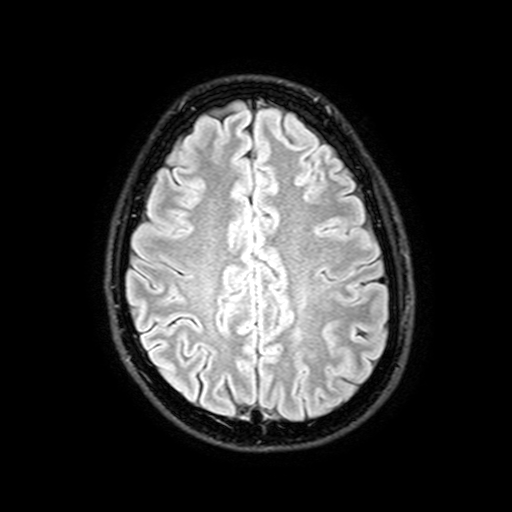
Clinical context: 3 Tesla brain MRI. Series: FLAIR with SPAIR, 3 mm. Study: ring-enhancing brain masses.